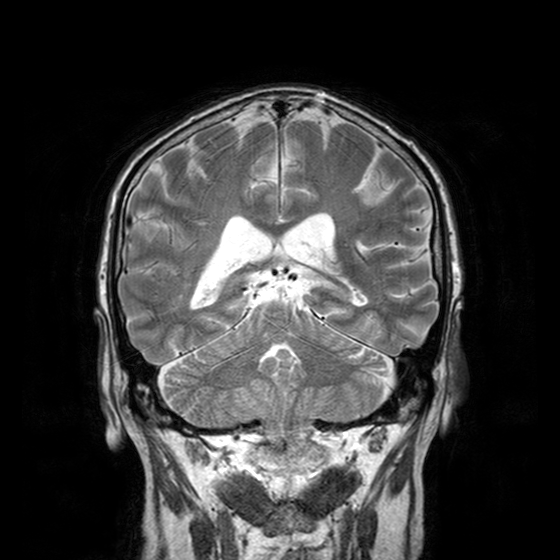
3 Tesla brain MRI. Series: T2-weighted turbo spin echo with CLEAR. Study: ring-enhancing brain masses.